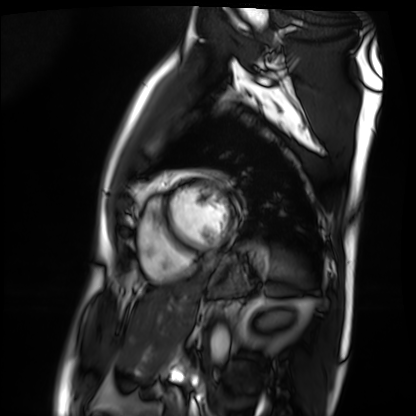
modality — cardiac MRI; subject group — patient.